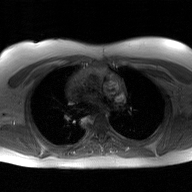
2D phase-contrast cine MRI of the ascending aorta, GAN super-resolution reconstruction.